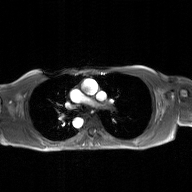
<scan>
<modality>
  <type>2D phase-contrast cine MRI</type>
  <region>ascending aorta</region>
  <reconstruction>GAN super-resolution reconstruction</reconstruction>
</modality>
</scan>